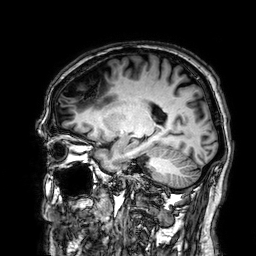
Summary:
3 Tesla brain MRI. Series: 3D T1-weighted. Study: ring-enhancing brain masses.